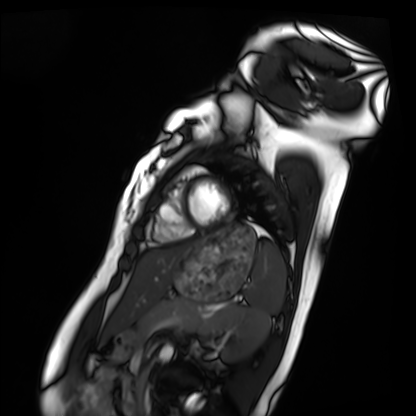
modality: cardiac MRI, subject group: healthy volunteer.